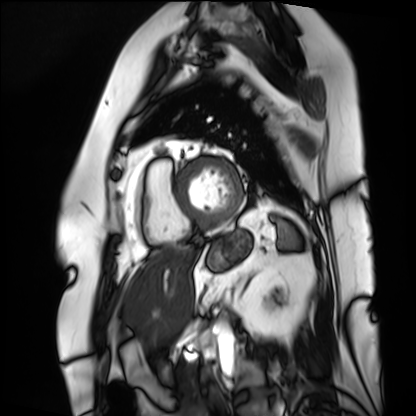
modality: cardiac MRI
cohort: patient